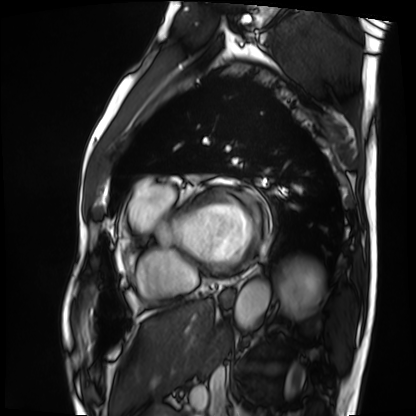
modality=cardiac MRI | subject group=patient.